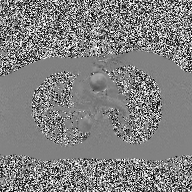
modality = 2D phase-contrast cine MRI of the ascending aorta.